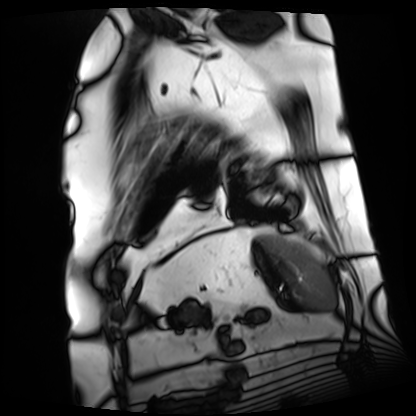
Summary: Cardiac MRI. Subject group: patient.